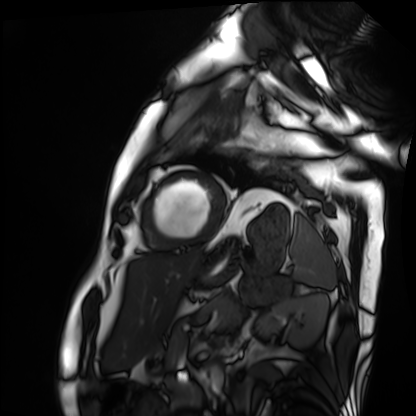
• modality — cardiac MRI
• subject group — patient